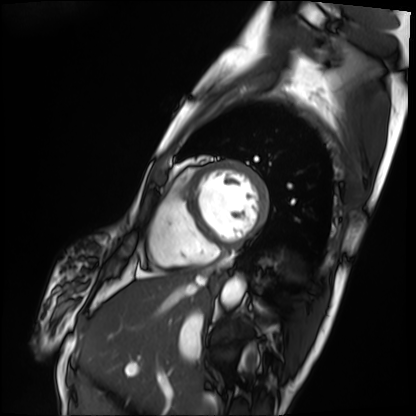
Summary: Cardiac MRI. Subject group: patient.